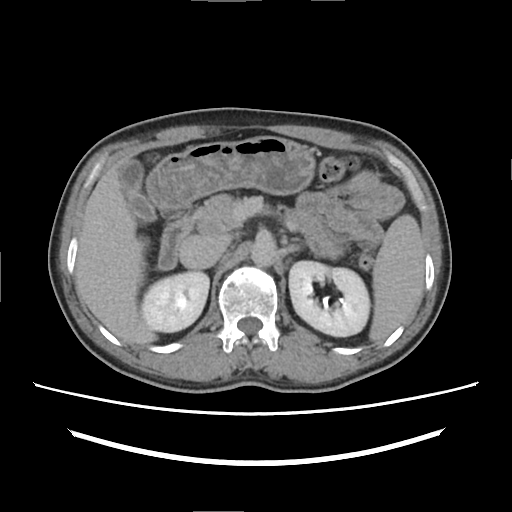
Multiphase abdominal CT, liver, delayed phase. Patient: male, age 50. History: cirrhosis, viral hepatitis, prior chemotherapy.